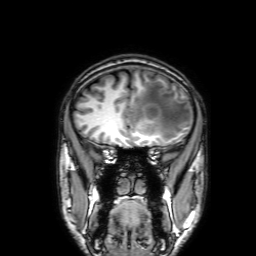
<scan>
  <modality>
    <type>brain MRI</type>
    <field_strength>3T</field_strength>
  </modality>
  <series>3D T1-weighted with SENSE</series>
  <study_topic>ring-enhancing brain masses</study_topic>
</scan>